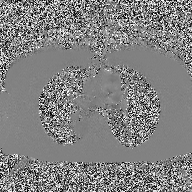
<scan>
  <modality>
    <type>2D phase-contrast cine MRI</type>
    <region>ascending aorta</region>
    <reconstruction>high-resolution GRAPPA acquisition</reconstruction>
  </modality>
</scan>